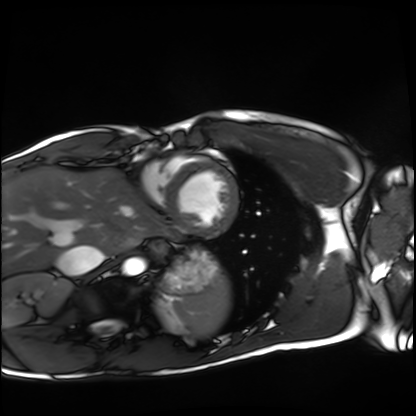
Cardiac MRI.
Subject group: healthy volunteer.